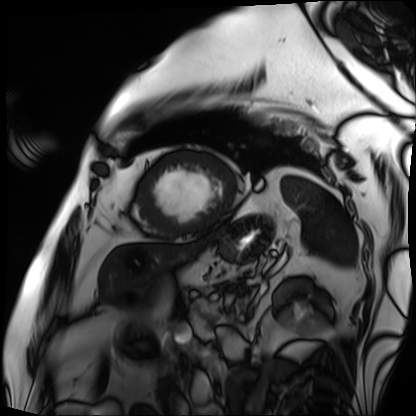
– modality · cardiac MRI
– subject group · patient